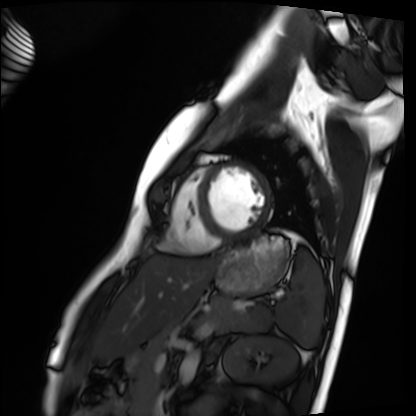
Cardiac MRI. Subject group: healthy volunteer.